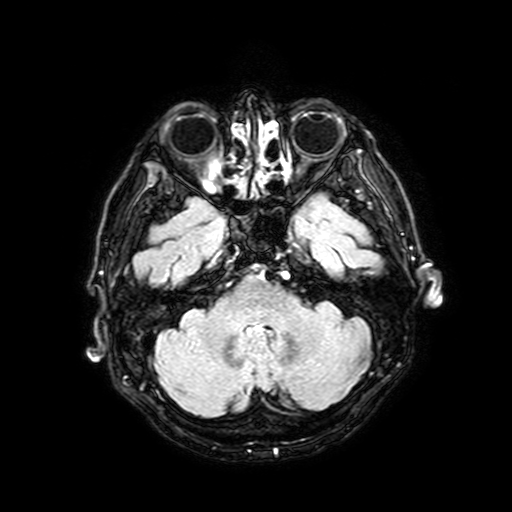
• modality — 3 Tesla brain MRI
• series — FLAIR with SPAIR, 3 mm
• study — ring-enhancing brain masses